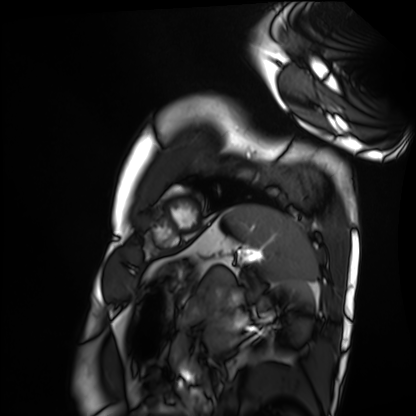
Cardiac MRI. Subject group: healthy volunteer.